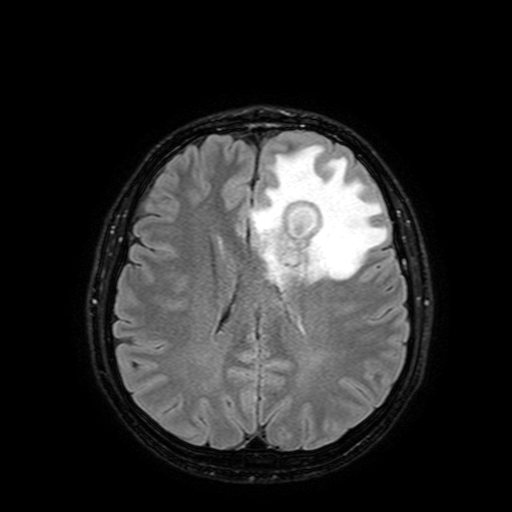
modality=3 Tesla brain MRI | series=FLAIR with SPAIR, 3 mm | study=ring-enhancing brain masses.